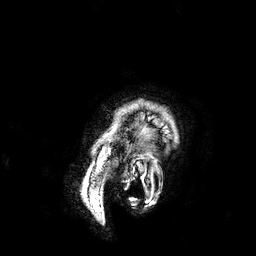
3 Tesla brain MRI.
Series: 3D T1-weighted.
Study: ring-enhancing brain masses.